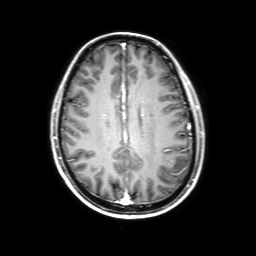
Case summary: 3 Tesla brain MRI. Study: ring-enhancing brain masses.